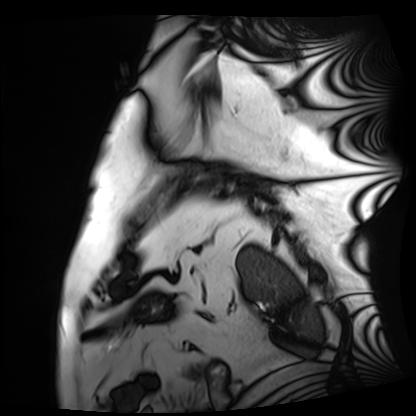
• modality · cardiac MRI
• subject group · patient